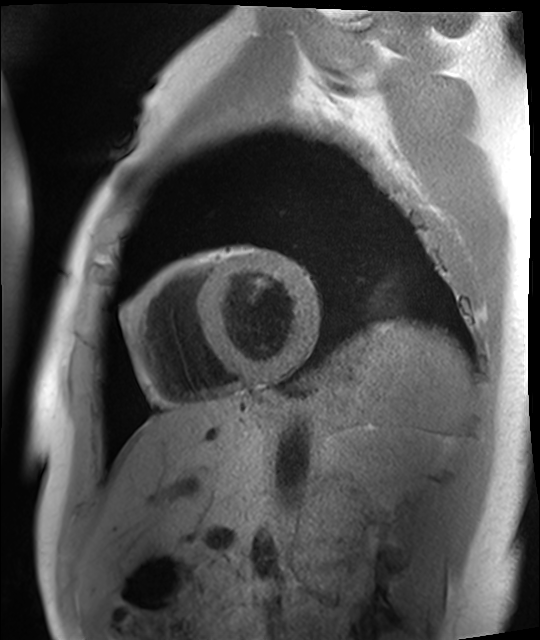
  modality: cardiac MRI
  cohort: healthy volunteer